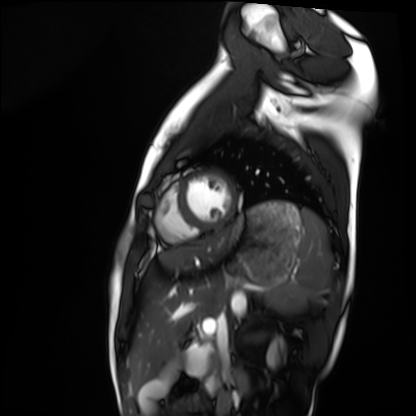
Cardiac MRI. Subject group: healthy volunteer.